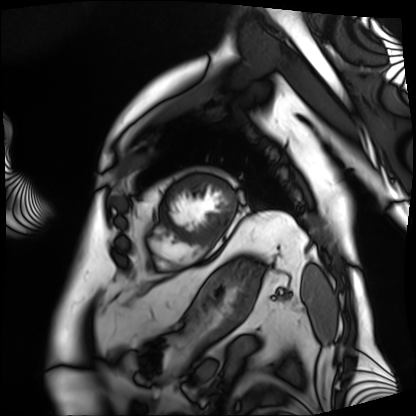
<study>
<modality>cardiac MRI</modality>
<cohort>patient</cohort>
</study>